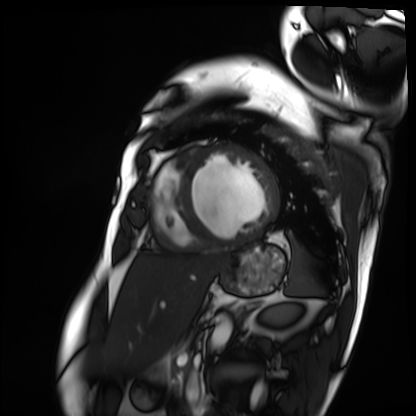
modality=cardiac MRI | subject group=patient.